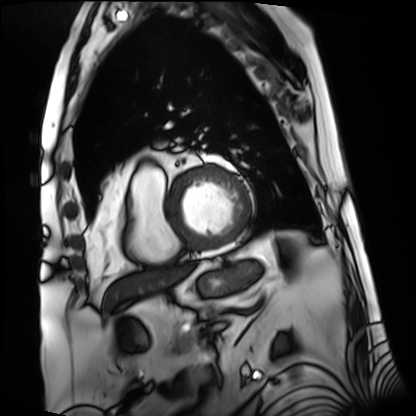
Case summary:
Cardiac MRI. Subject group: patient.